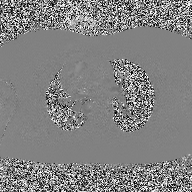
Q: What kind of scan is this?
A: 2D phase-contrast cine MRI of the ascending aorta.